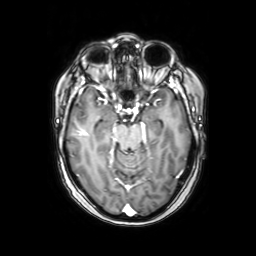
3 Tesla brain MRI. Series: axial with contrast. Study: ring-enhancing brain masses.